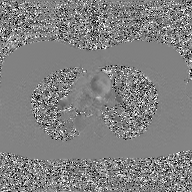
* modality · 2D phase-contrast cine MRI of the ascending aorta, GAN super-resolution reconstruction